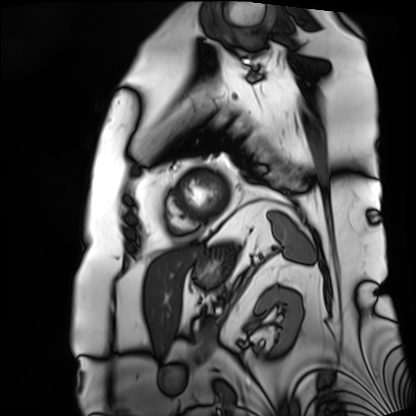
Summary: Cardiac MRI. Subject group: patient.